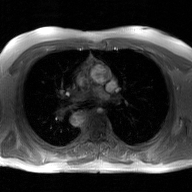
modality = 2D phase-contrast cine MRI of the ascending aorta, GAN super-resolution reconstruction.